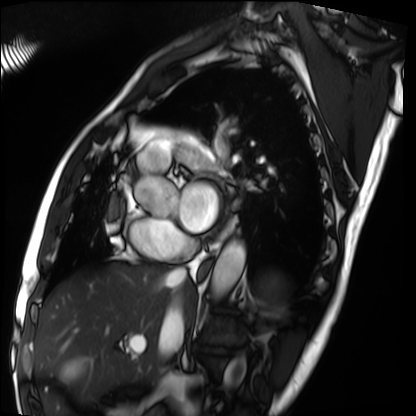
– modality: cardiac MRI
– subject group: patient